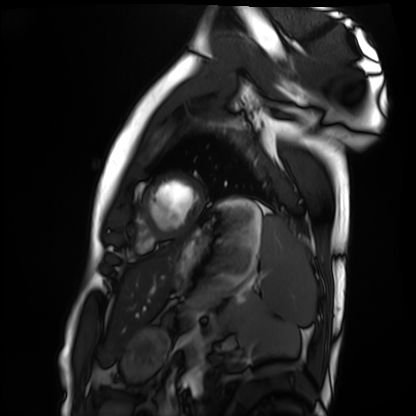
| field | value |
|---|---|
| modality | cardiac MRI |
| subject group | healthy volunteer |